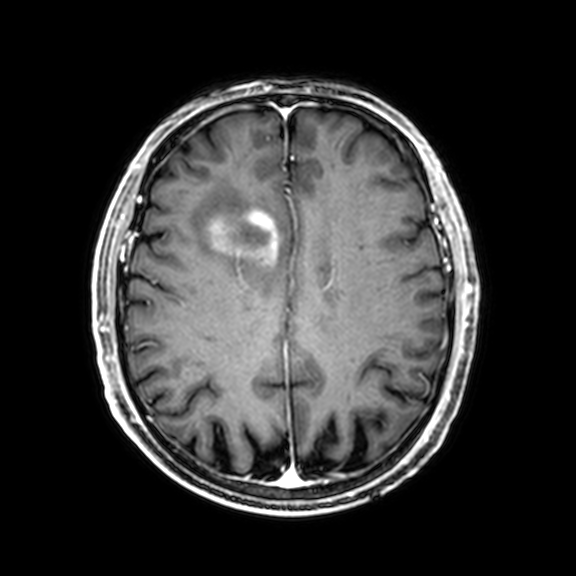
modality = 3 Tesla brain MRI | series = 3D T1-weighted with CLEAR | study = ring-enhancing brain masses.